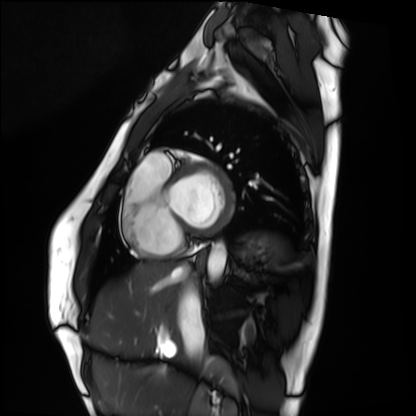
Clinical context: Cardiac MRI. Subject group: healthy volunteer.